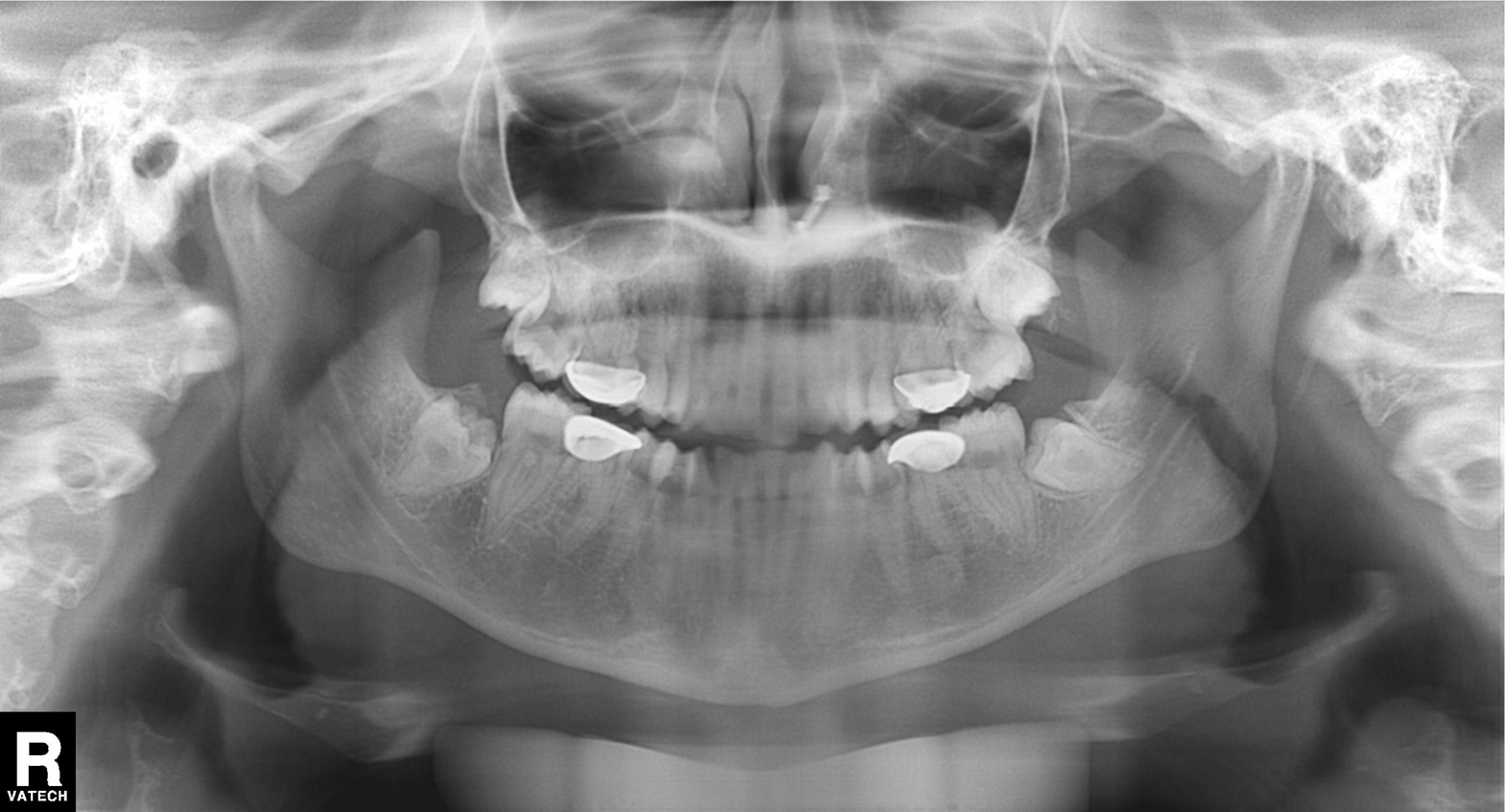
modality: panoramic dental radiograph (orthopantomogram)
finding: dental caries (cavities)